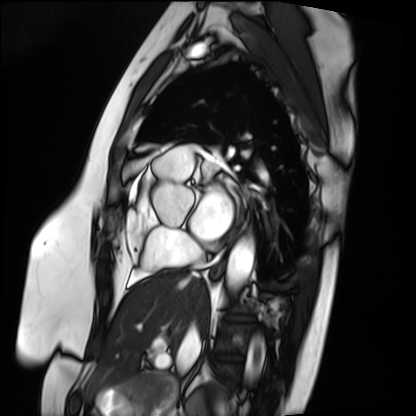
{"modality": "cardiac MRI", "cohort": "patient"}